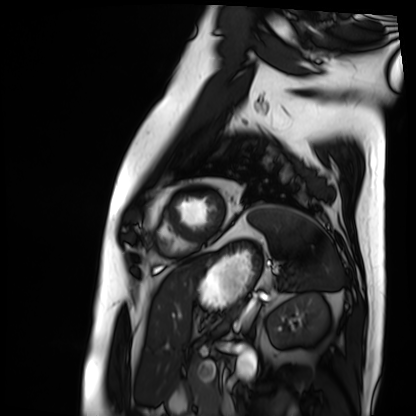
modality = cardiac MRI; subject group = patient.